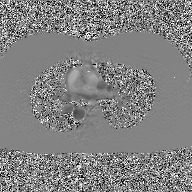
Case summary: 2D phase-contrast cine MRI of the ascending aorta, GAN super-resolution reconstruction.